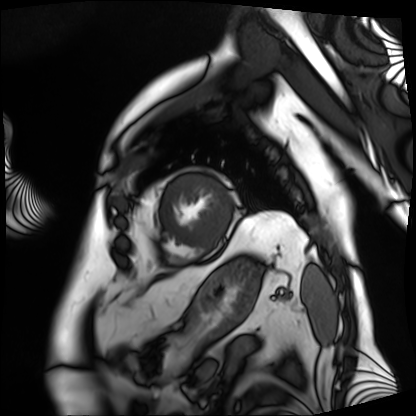
Cardiac MRI.
Subject group: patient.